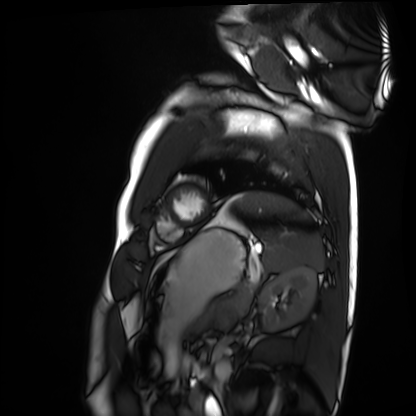
Clinical context: Cardiac MRI. Subject group: healthy volunteer.